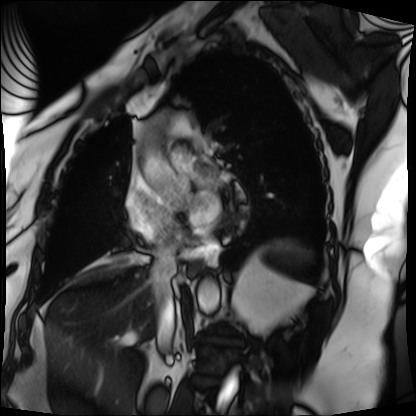
<case>
  <modality>cardiac MRI</modality>
  <cohort>patient</cohort>
</case>